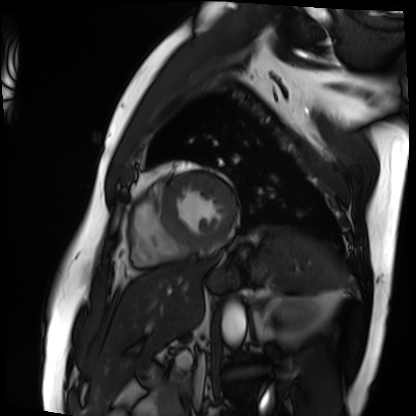
- modality: cardiac MRI
- subject group: patient